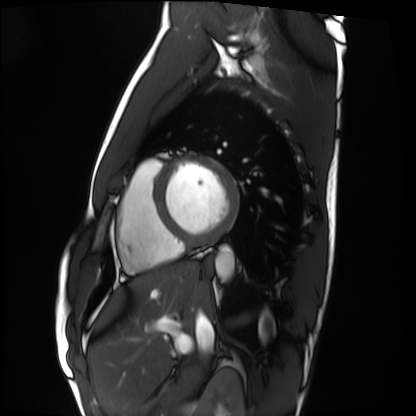
Clinical context:
Cardiac MRI. Subject group: healthy volunteer.